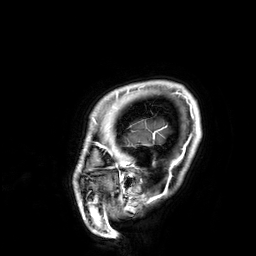
Q: What kind of scan is this?
A: 3 Tesla brain MRI.
Q: Series?
A: 3D T1-weighted.
Study: ring-enhancing brain masses.